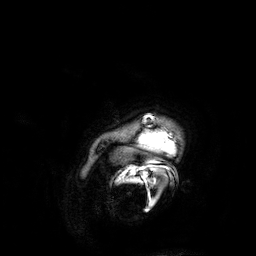
3 Tesla brain MRI. Series: 3D T1-weighted. Study: ring-enhancing brain masses.